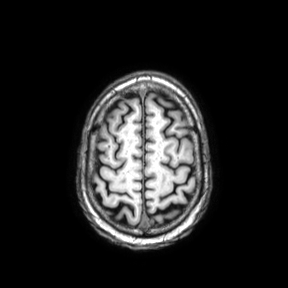
Q: What kind of scan is this?
A: 3 Tesla brain MRI.
Q: Series?
A: Axial.
Study: ring-enhancing brain masses.